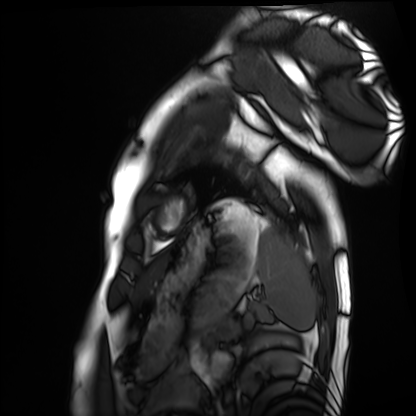
Cardiac MRI. Subject group: healthy volunteer.